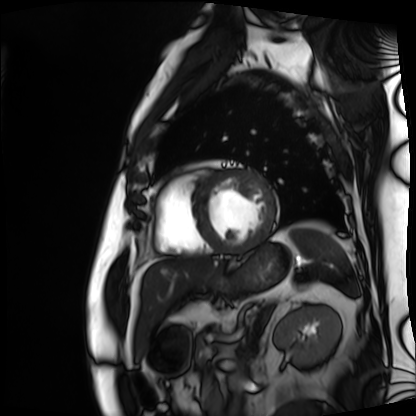
Case summary:
Cardiac MRI. Subject group: patient.